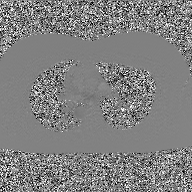
2D phase-contrast cine MRI of the ascending aorta, GAN super-resolution reconstruction.